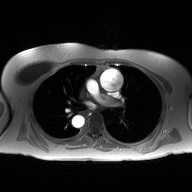
Q: What kind of scan is this?
A: 2D phase-contrast cine MRI of the ascending aorta.